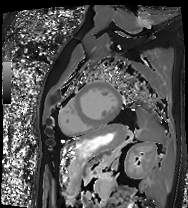
Summary:
Cardiac MRI. Subject group: patient.